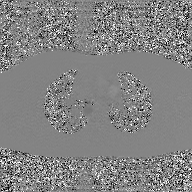
2D phase-contrast cine MRI of the ascending aorta, GAN super-resolution reconstruction.